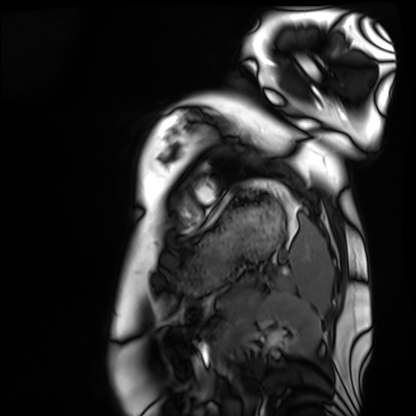
Cardiac MRI. Subject group: healthy volunteer.